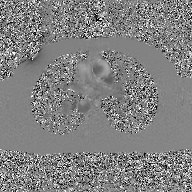
Case summary: 2D phase-contrast cine MRI of the ascending aorta, GAN super-resolution reconstruction.